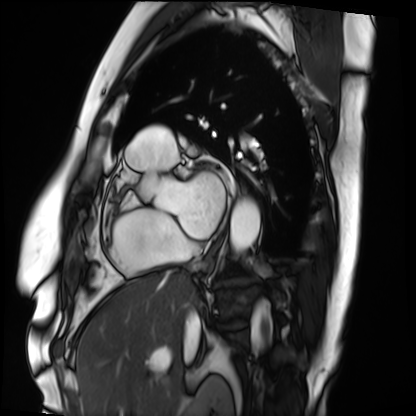
{"modality": "cardiac MRI", "cohort": "patient"}